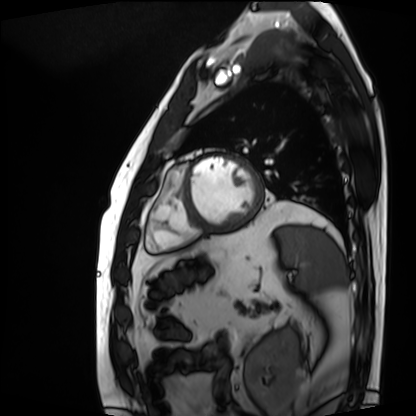
modality = cardiac MRI, subject group = patient.